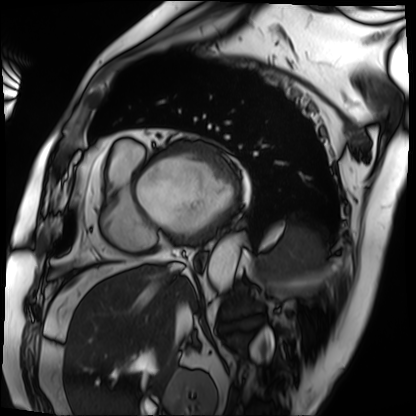
{"modality": "cardiac MRI", "cohort": "patient"}